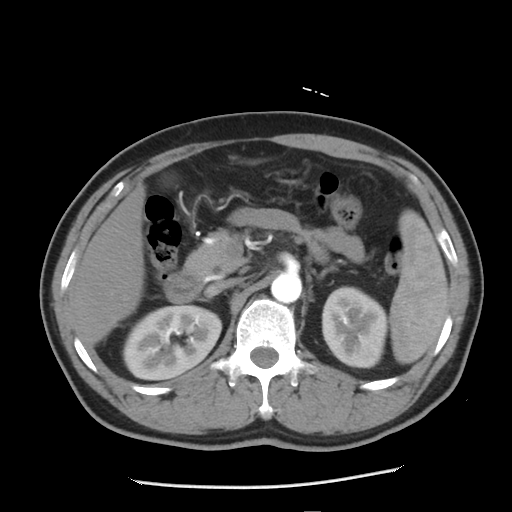
modality: multiphase abdominal CT, liver, arterial phase
patient: male, age 51
history: cirrhosis, viral hepatitis